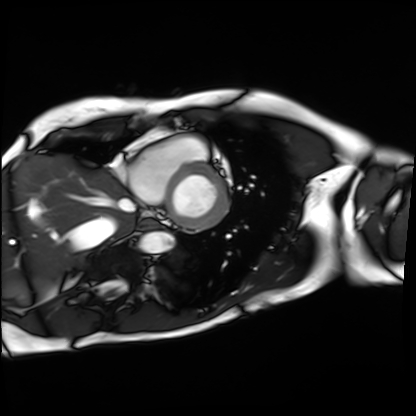
modality=cardiac MRI | subject group=patient.